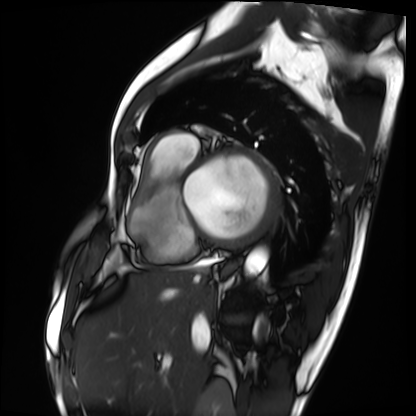
Cardiac MRI. Subject group: patient.